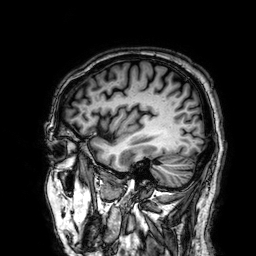
3 Tesla brain MRI.
Study: ring-enhancing brain masses.